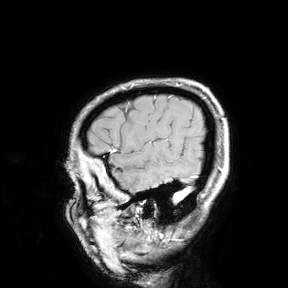
3 Tesla brain MRI. Study: ring-enhancing brain masses.